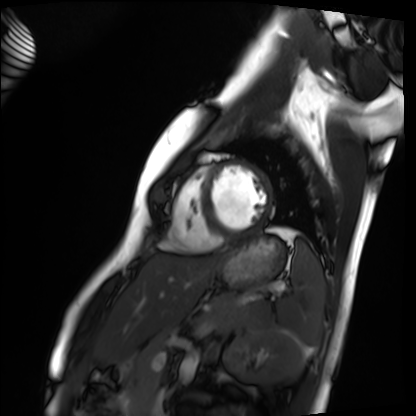
Cardiac MRI. Subject group: healthy volunteer.